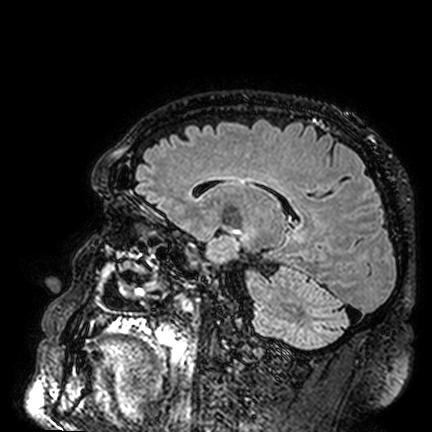
  modality:
    type: brain MRI
    field_strength: 3T
  series: FLAIR VISTA
  study_topic: ring-enhancing brain masses